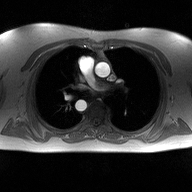
modality = 2D phase-contrast cine MRI of the ascending aorta.